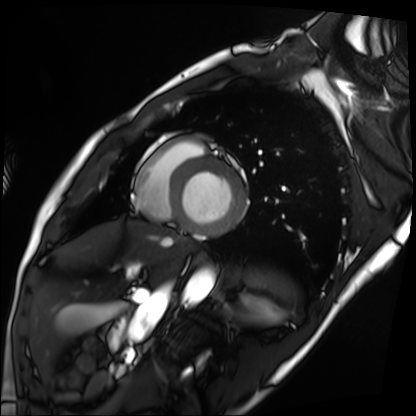
Cardiac MRI.
Subject group: patient.